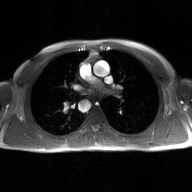
modality: 2D phase-contrast cine MRI of the ascending aorta, GAN super-resolution reconstruction.